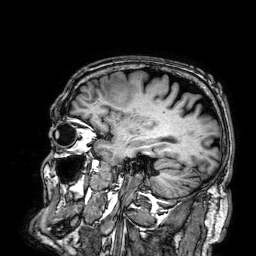
3 Tesla brain MRI. Series: 3D T1-weighted. Study: ring-enhancing brain masses.